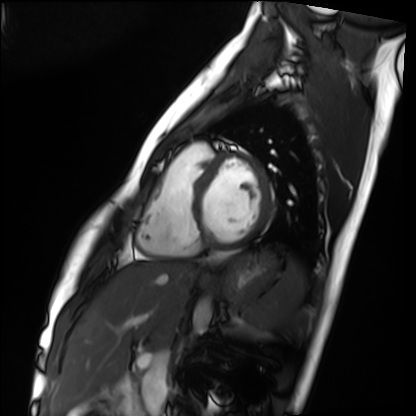
Cardiac MRI. Subject group: healthy volunteer.